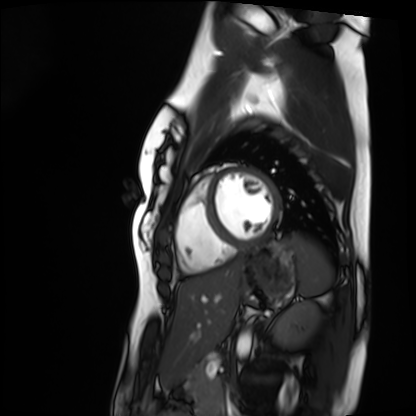
Cardiac MRI. Subject group: healthy volunteer.